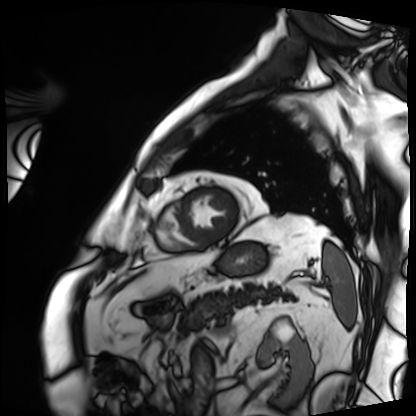
– modality · cardiac MRI
– subject group · patient